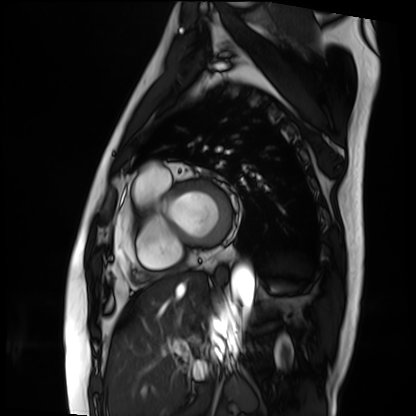
Cardiac MRI. Subject group: patient.